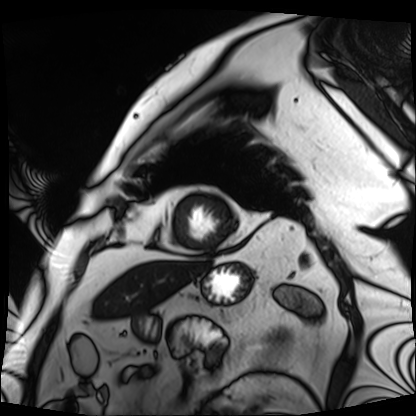
  modality: cardiac MRI
  cohort: patient